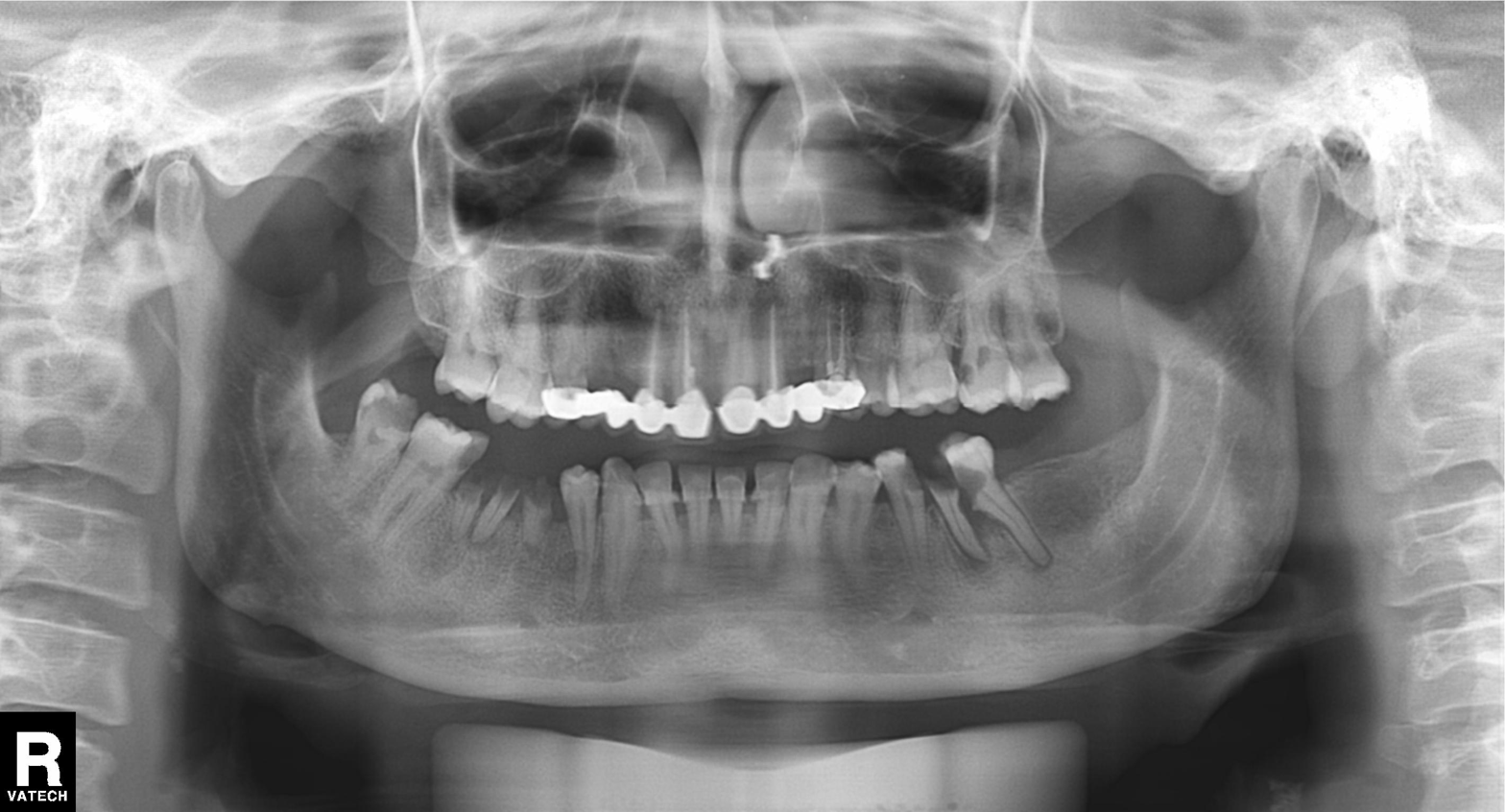
modality: panoramic dental radiograph (orthopantomogram), finding: alveolar bone loss.